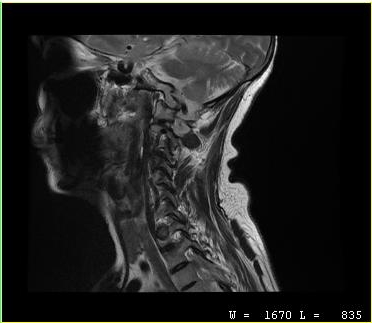
MRI of the cervical spine.
Study: cervical spondylosis.